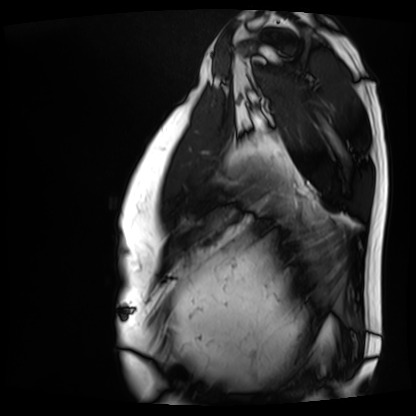
modality: cardiac MRI
subject group: patient